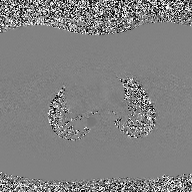
Summary:
2D phase-contrast cine MRI of the ascending aorta, high-resolution GRAPPA acquisition.